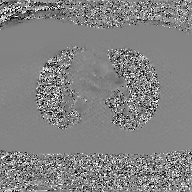
Summary:
2D phase-contrast cine MRI of the ascending aorta, GAN super-resolution reconstruction.